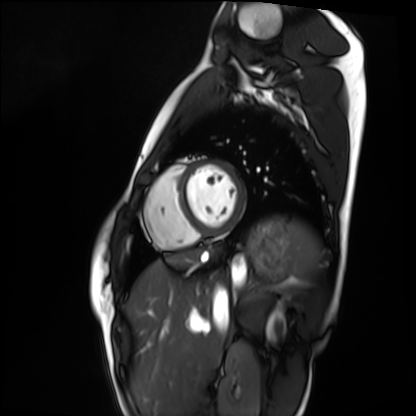
| field | value |
|---|---|
| modality | cardiac MRI |
| subject group | healthy volunteer |